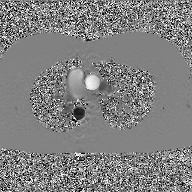
Clinical context: 2D phase-contrast cine MRI of the ascending aorta, GAN super-resolution reconstruction.